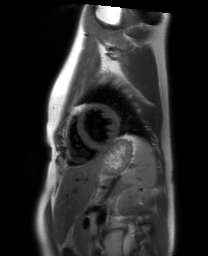
Cardiac MRI. Subject group: healthy volunteer.